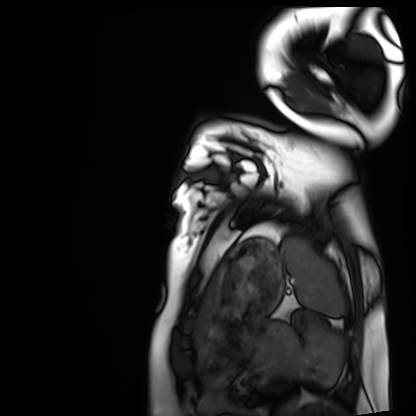
Cardiac MRI.
Subject group: healthy volunteer.